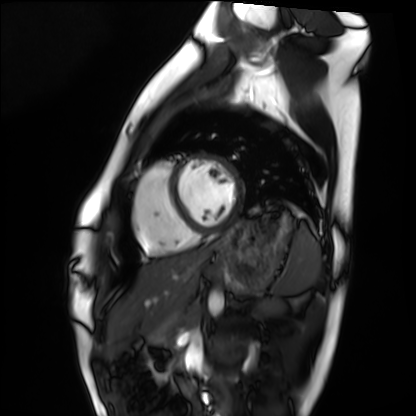
Cardiac MRI. Subject group: healthy volunteer.